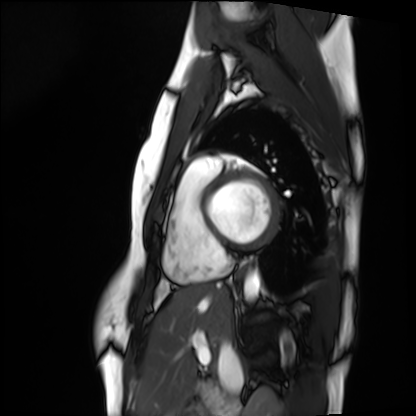
Q: What kind of scan is this?
A: Cardiac MRI.
Subject group: healthy volunteer.